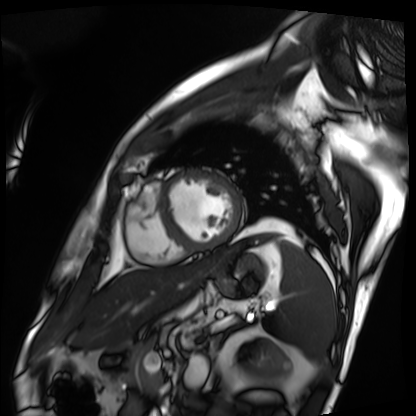
Cardiac MRI. Subject group: patient.